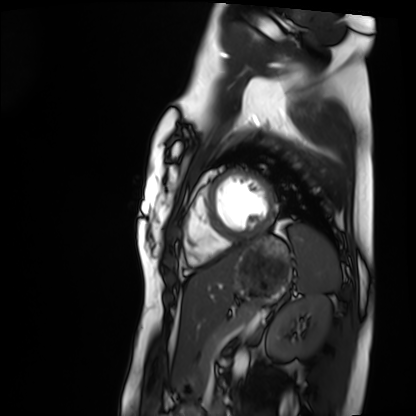
Clinical context: Cardiac MRI. Subject group: healthy volunteer.